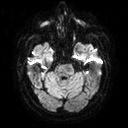
Q: What kind of scan is this?
A: 3 Tesla brain MRI.
Q: Series?
A: Diffusion tensor imaging (medium iso).
Study: ring-enhancing brain masses.